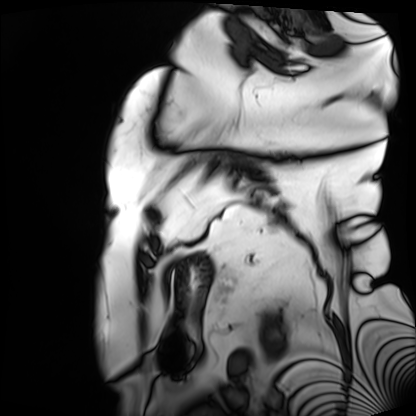
Cardiac MRI.
Subject group: patient.